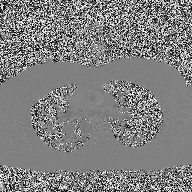
| field | value |
|---|---|
| modality | 2D phase-contrast cine MRI of the ascending aorta |